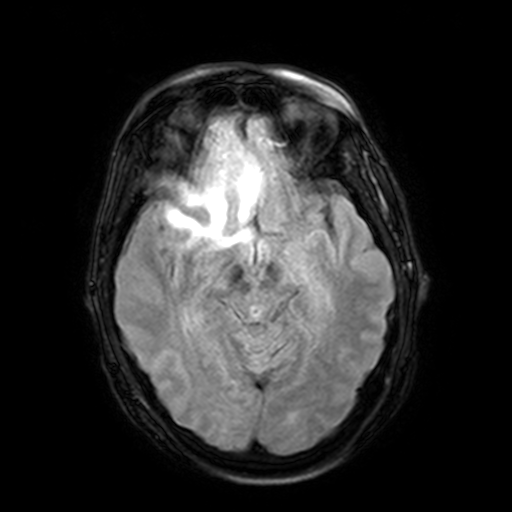
3 Tesla brain MRI. Series: FLAIR with SPAIR, 3 mm. Study: ring-enhancing brain masses.